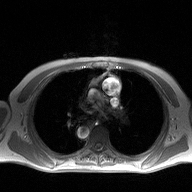
modality: 2D phase-contrast cine MRI of the ascending aorta.